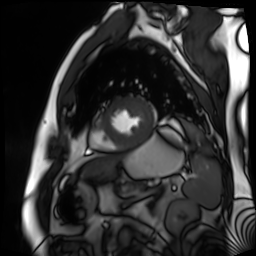
<case>
<modality>cardiac MR image of the myocardium</modality>
<cohort>cardiac patient</cohort>
</case>